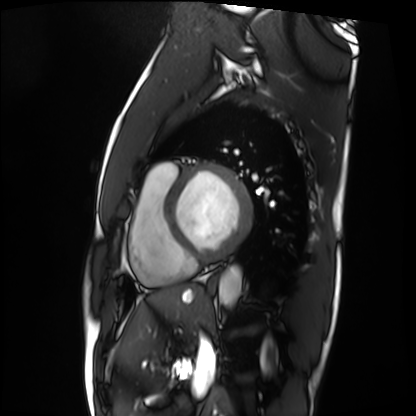
Cardiac MRI. Subject group: patient.